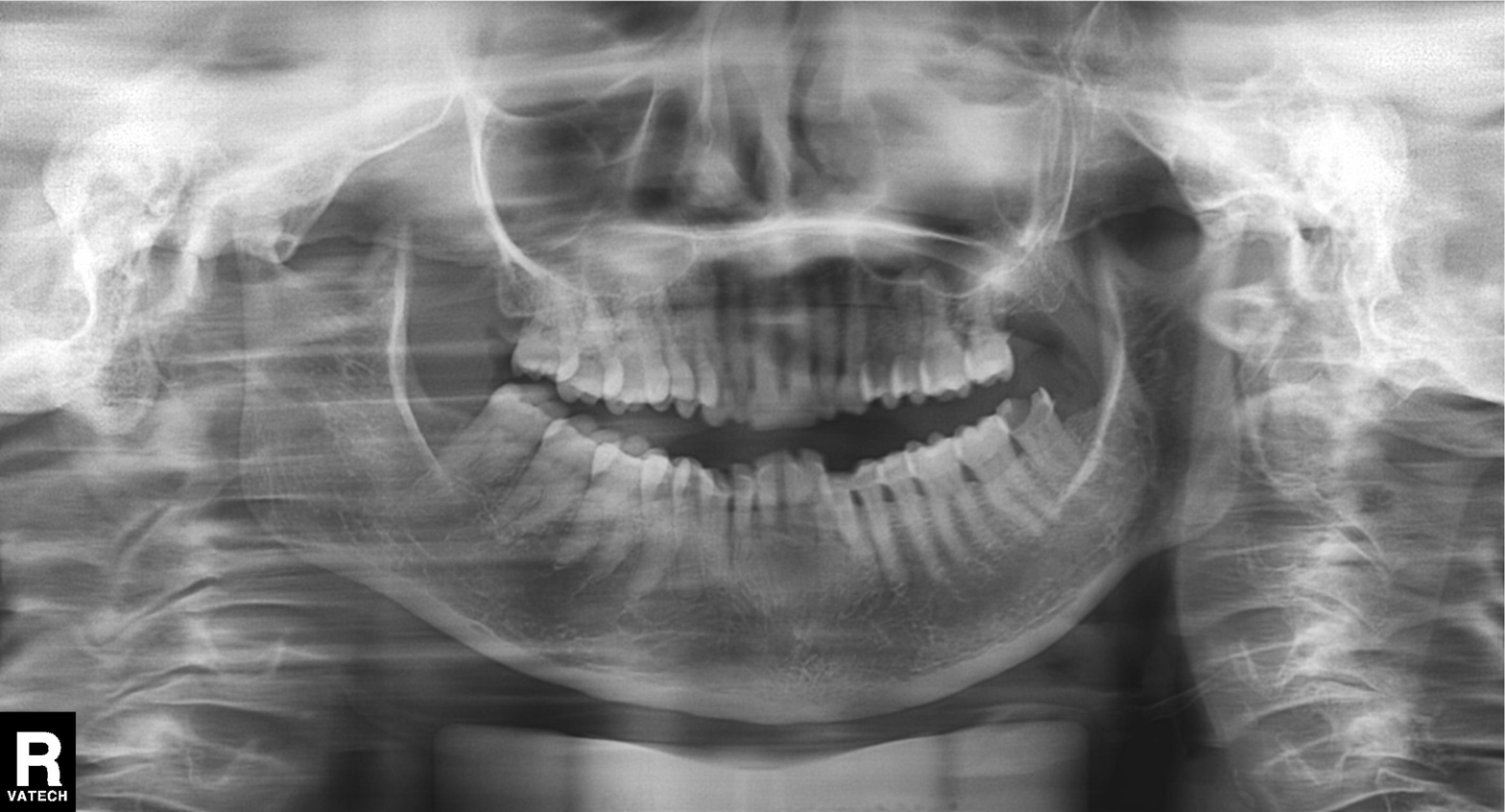
Summary:
Panoramic dental radiograph (orthopantomogram).
Diagnosis:
Tooth impaction.